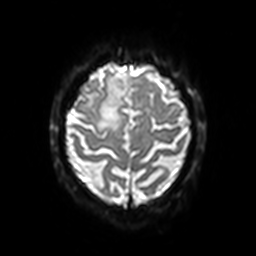
modality:
  type: brain MRI
  field_strength: 3T
series: diffusion-weighted imaging with SENSE (WIP)
study_topic: ring-enhancing brain masses